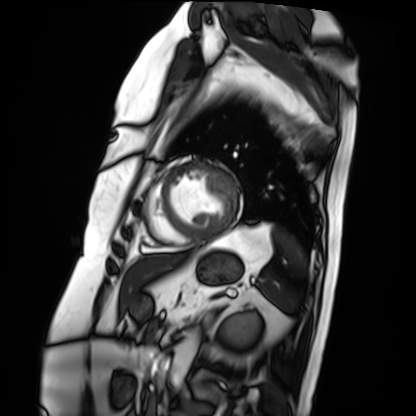
{"modality": "cardiac MRI", "cohort": "patient"}